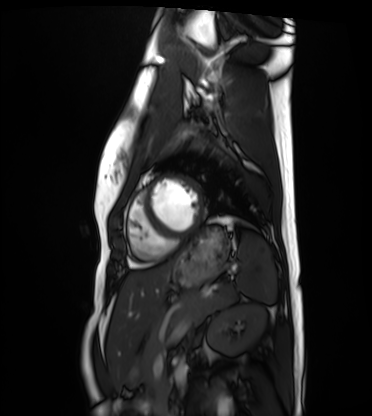
modality = cardiac MRI; subject group = healthy volunteer.